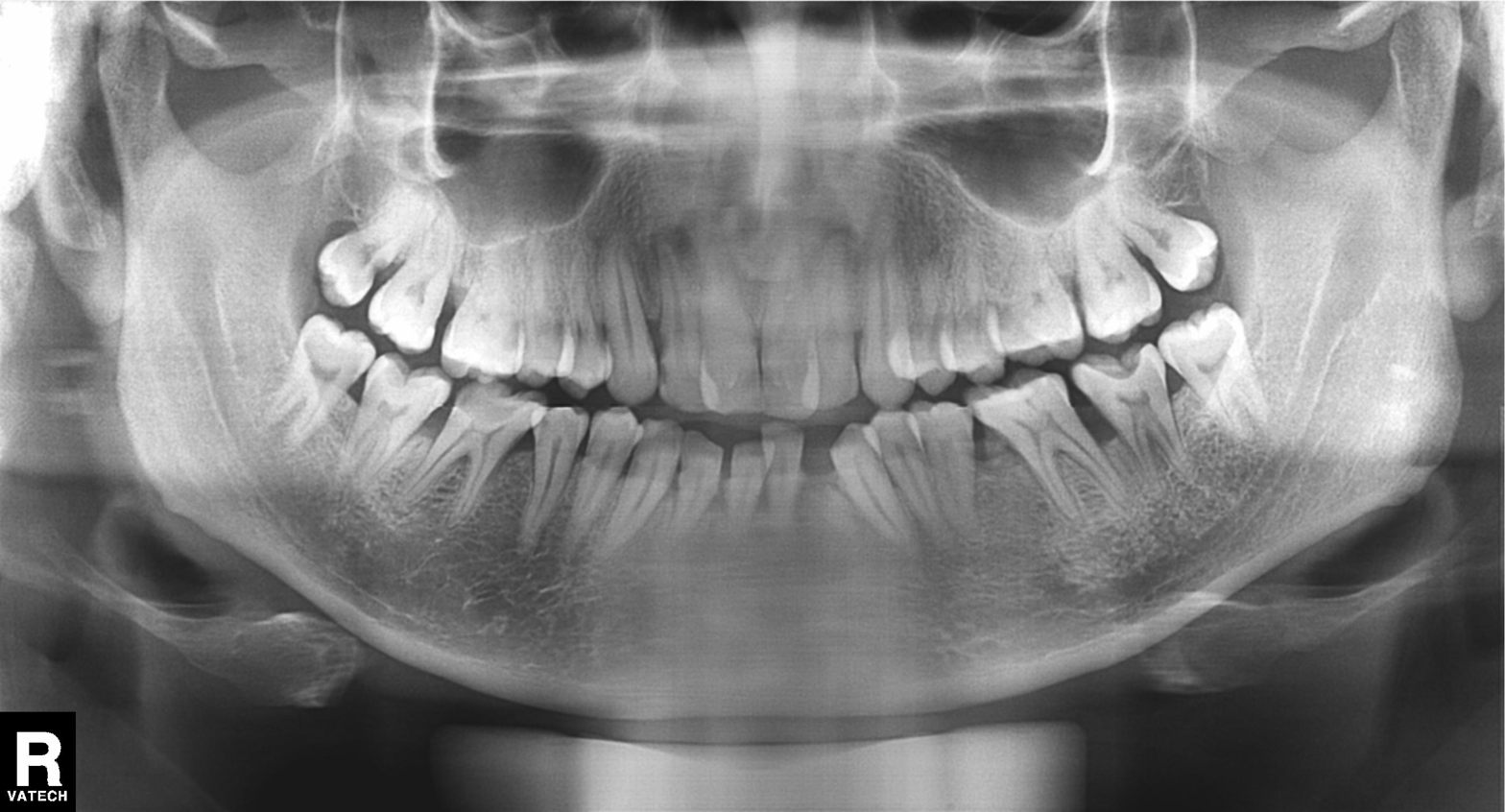
Panoramic dental radiograph (orthopantomogram).
Finding: alveolar bone loss.